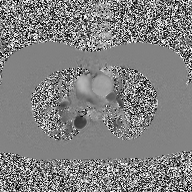
- modality · 2D phase-contrast cine MRI of the ascending aorta